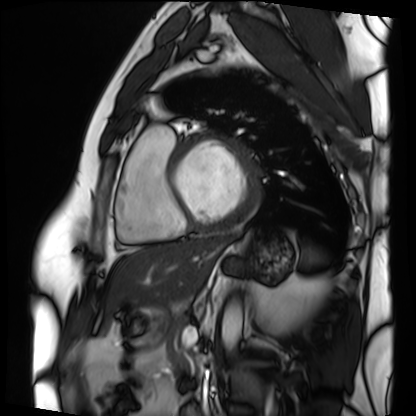
Cardiac MRI. Subject group: patient.